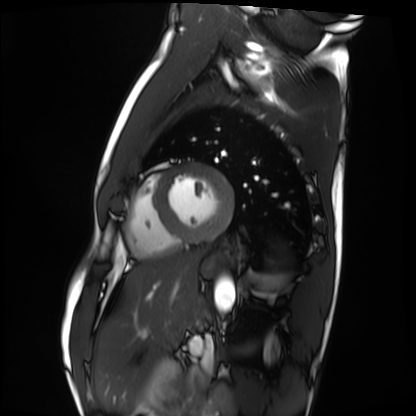
Summary: Cardiac MRI. Subject group: healthy volunteer.